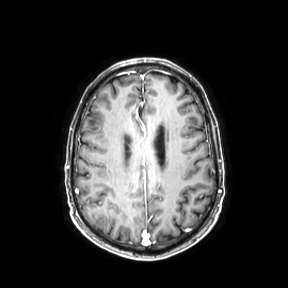
3 Tesla brain MRI. Series: axial. Study: ring-enhancing brain masses.